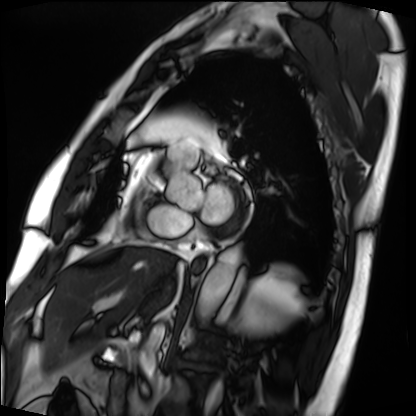
Cardiac MRI. Subject group: patient.